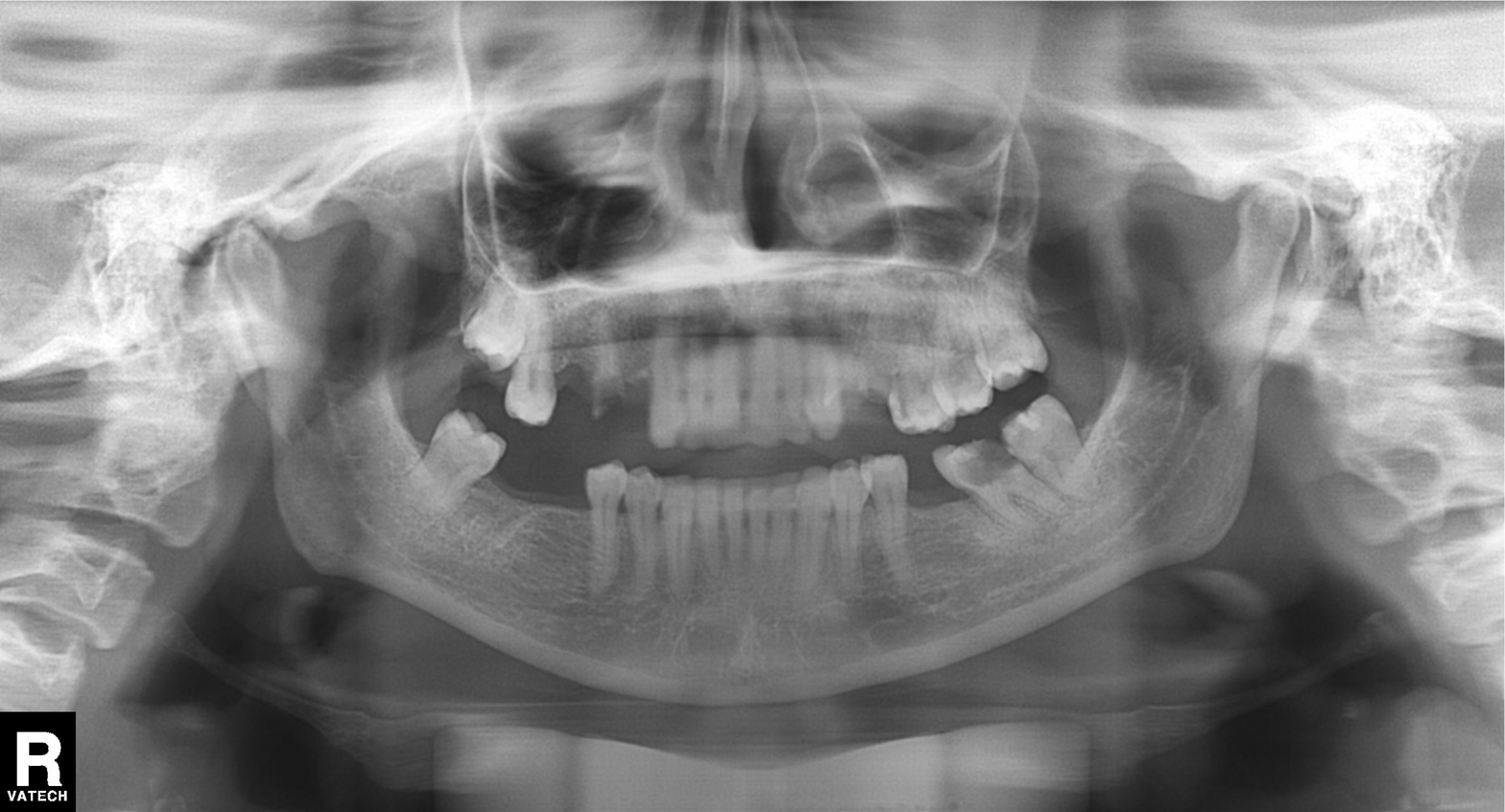
Panoramic dental radiograph (orthopantomogram). Finding: alveolar bone loss.